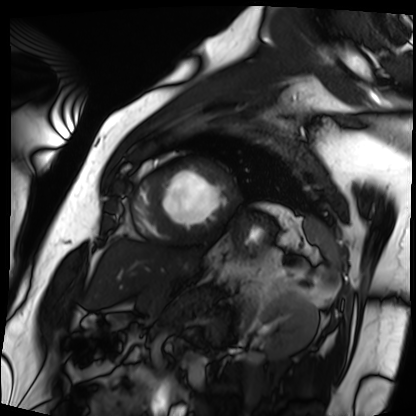
Cardiac MRI. Subject group: patient.